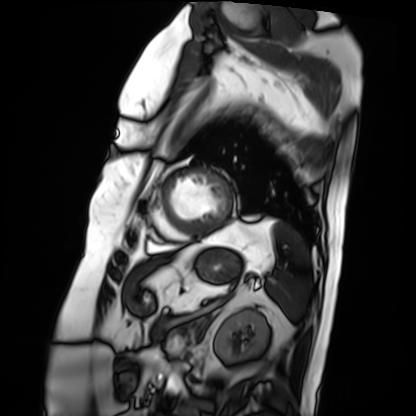
Case:
* modality: cardiac MRI
* subject group: patient